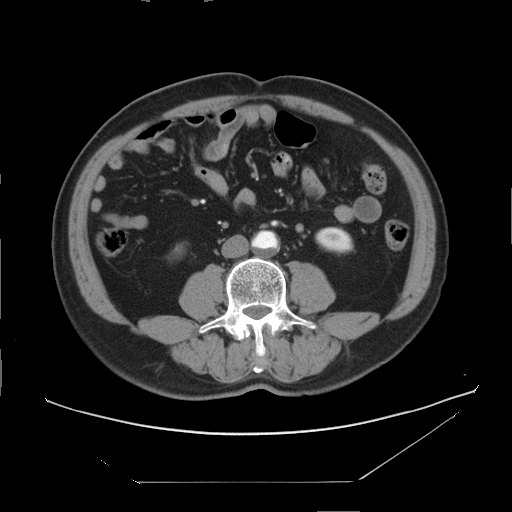
Multiphase abdominal CT, liver, arterial phase. Patient: male, age 60.